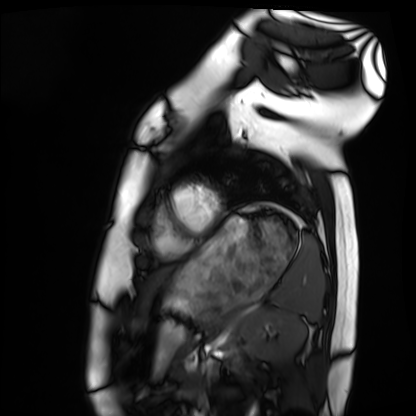
Cardiac MRI.
Subject group: healthy volunteer.